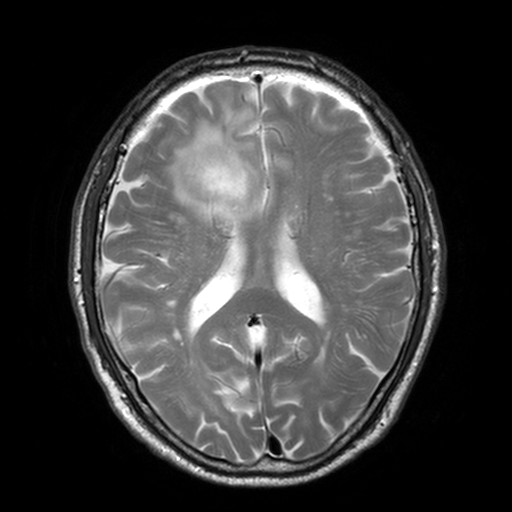
Case summary:
3 Tesla brain MRI. Series: T2-weighted turbo spin echo, 3 mm. Study: ring-enhancing brain masses.